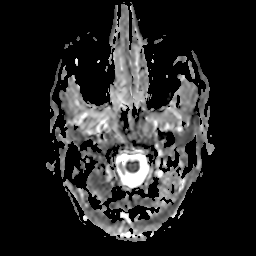
modality = 3 Tesla brain MRI | series = apparent diffusion coefficient (ADC) map | study = ring-enhancing brain masses.